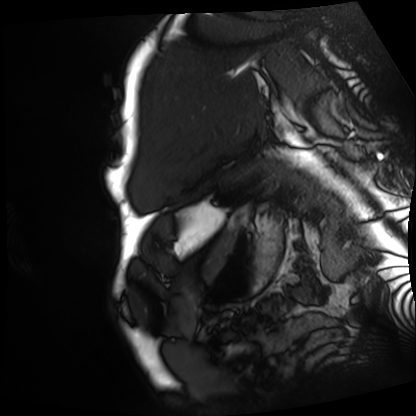
  modality: cardiac MRI
  cohort: patient